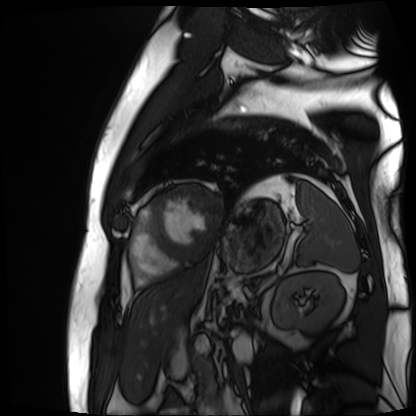
Cardiac MR image of the myocardium. Subject cohort: cardiac patient.